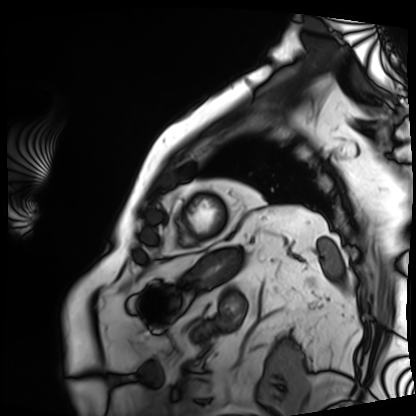
• modality: cardiac MRI
• subject group: patient